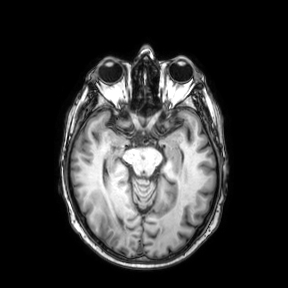
{
  "modality": {
    "type": "brain MRI",
    "field_strength": "3T"
  },
  "series": "axial",
  "study_topic": "ring-enhancing brain masses"
}